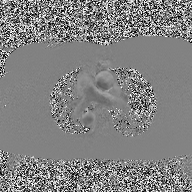
2D phase-contrast cine MRI of the ascending aorta, high-resolution GRAPPA acquisition.